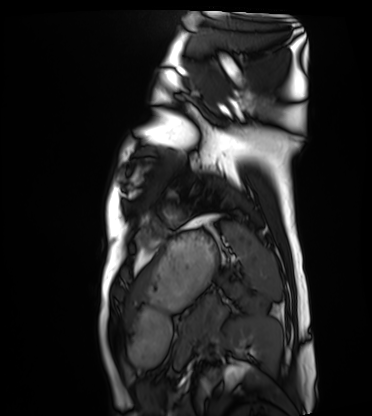
modality: cardiac MRI | subject group: healthy volunteer.